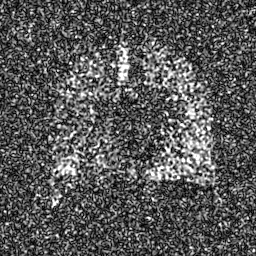
{"modality": "hyperpolarized 129Xe ventilation MRI of the lungs", "snr_level": "8 of 8 (the deposit holds this scan as its native image and as seven SNR-degraded versions)"}